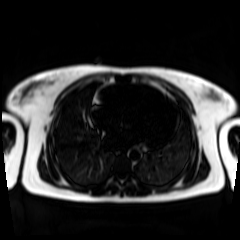
Chemical-shift-encoded cardiac MRI.